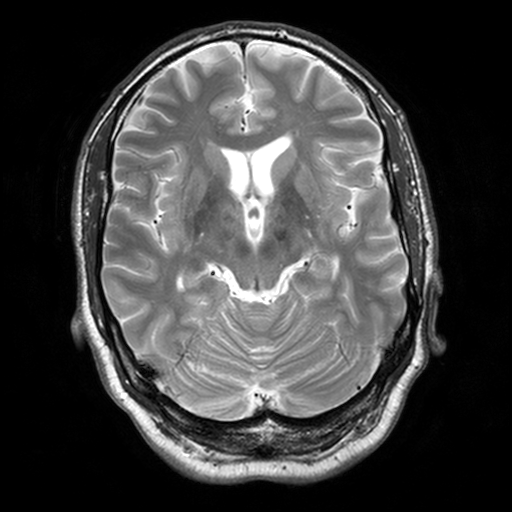
3 Tesla brain MRI. Study: ring-enhancing brain masses.